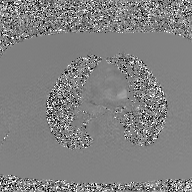
Clinical context: 2D phase-contrast cine MRI of the ascending aorta, GAN super-resolution reconstruction.